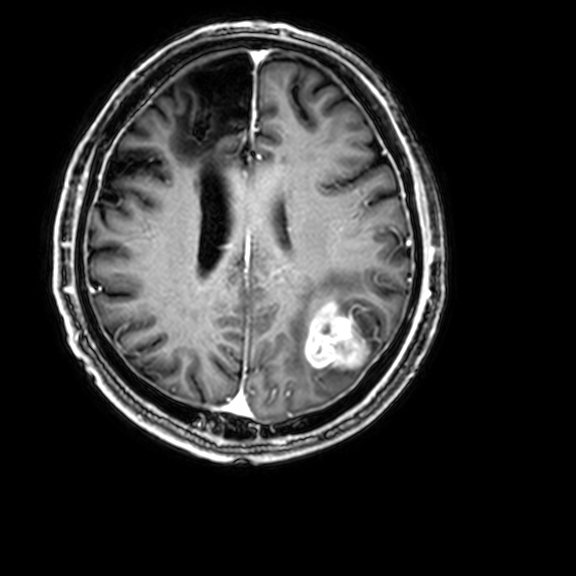
modality: 3 Tesla brain MRI; series: 3D T1-weighted with CLEAR; study: ring-enhancing brain masses.